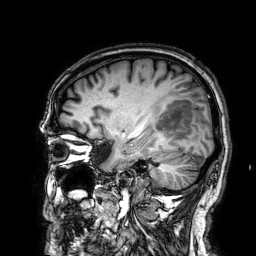
Q: What kind of scan is this?
A: 3 Tesla brain MRI.
Study: ring-enhancing brain masses.